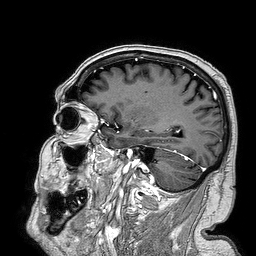
• modality · 3 Tesla brain MRI
• series · 3D T1-weighted turbo field echo
• study · ring-enhancing brain masses